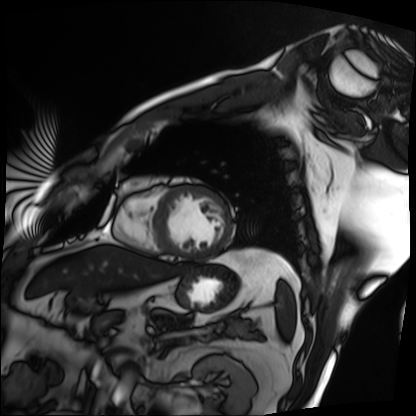
| field | value |
|---|---|
| modality | cardiac MRI |
| subject group | patient |